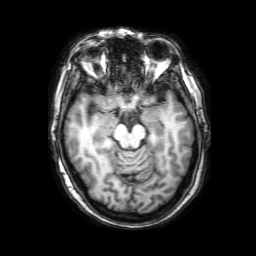
modality: 3 Tesla brain MRI; series: 3D T1-weighted with SENSE; study: ring-enhancing brain masses.